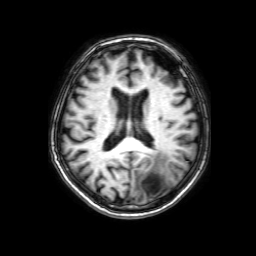
| field | value |
|---|---|
| modality | 3 Tesla brain MRI |
| series | 3D T1-weighted with SENSE |
| study | ring-enhancing brain masses |